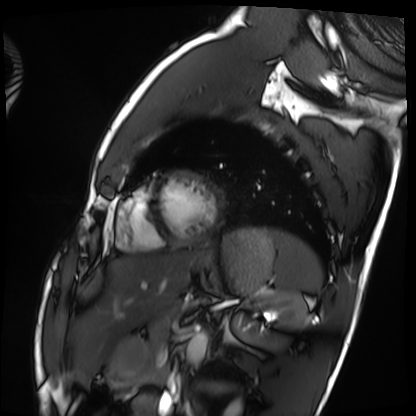
Q: What kind of scan is this?
A: Cardiac MRI.
Subject group: healthy volunteer.